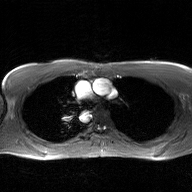
- modality — 2D phase-contrast cine MRI of the ascending aorta, GAN super-resolution reconstruction